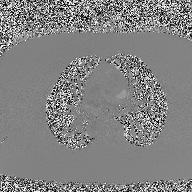
Case summary:
2D phase-contrast cine MRI of the ascending aorta, high-resolution GRAPPA acquisition.